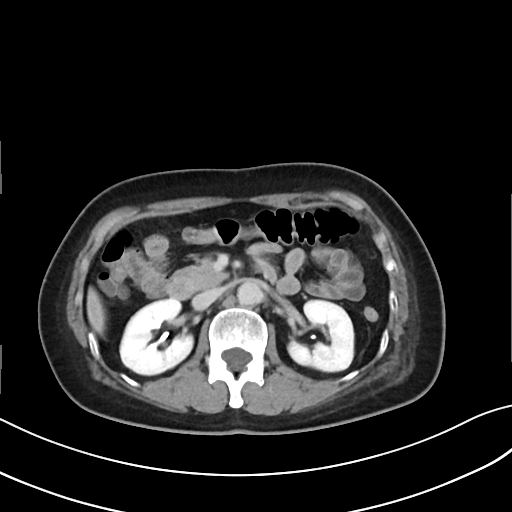
Summary:
Multiphase abdominal CT, liver, delayed phase. Patient: female, age 54. History: prior chemotherapy.